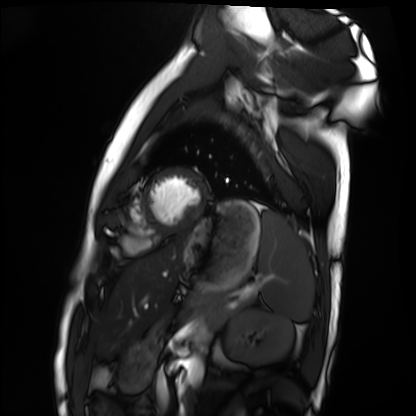
modality: cardiac MRI
cohort: healthy volunteer